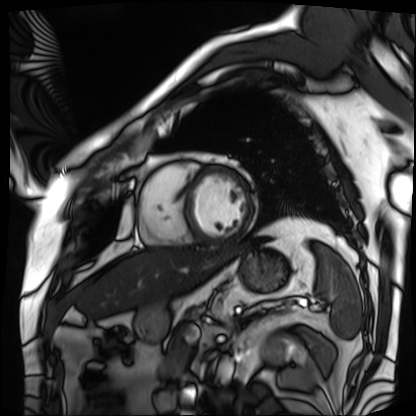
Clinical context:
Cardiac MRI. Subject group: patient.